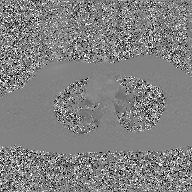
{"modality": {"type": "2D phase-contrast cine MRI", "region": "ascending aorta", "reconstruction": "GAN super-resolution reconstruction"}}